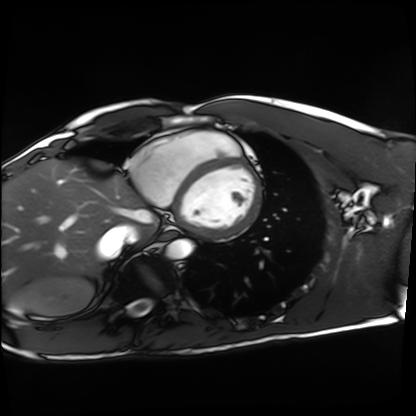
Clinical context: Cardiac MRI. Subject group: healthy volunteer.